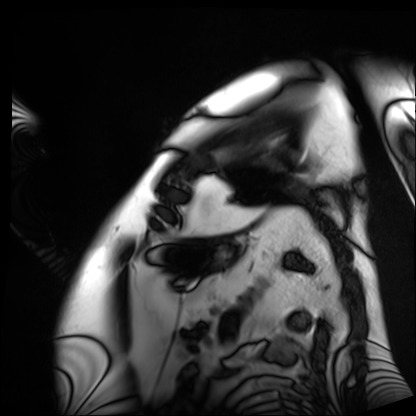
Cardiac MRI. Subject group: patient.